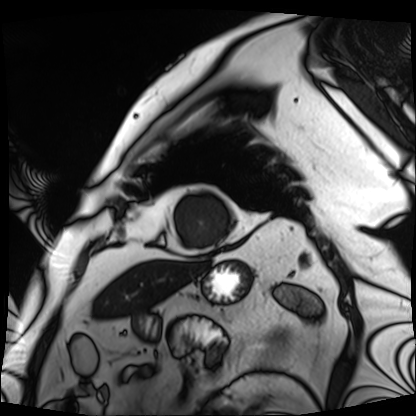
Case:
- modality · cardiac MRI
- subject group · patient